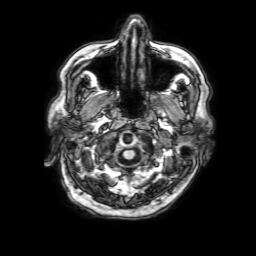
{
  "modality": {
    "type": "brain MRI",
    "field_strength": "3T"
  },
  "series": "3D T1-weighted with SENSE",
  "study_topic": "ring-enhancing brain masses"
}